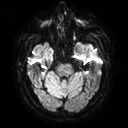
3 Tesla brain MRI. Series: diffusion tensor imaging (medium iso). Study: ring-enhancing brain masses.